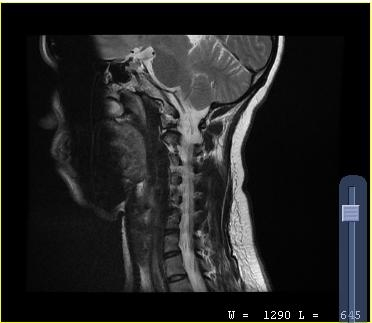
modality=MRI of the cervical spine | study=cervical spondylosis.